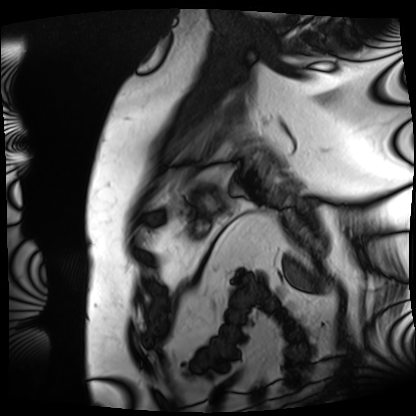
Cardiac MRI. Subject group: patient.